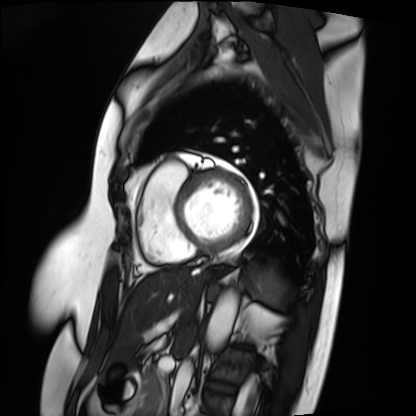
• modality: cardiac MRI
• subject group: patient